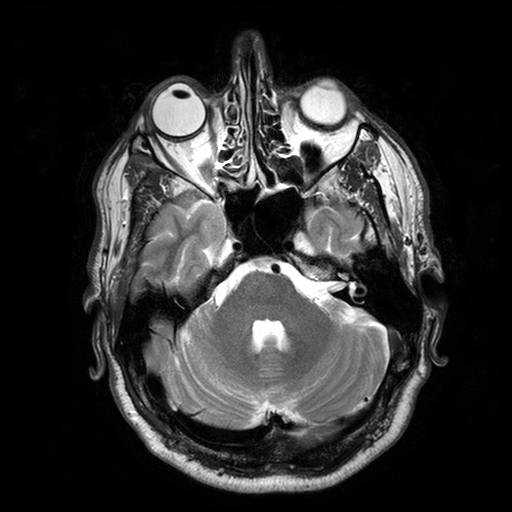
3 Tesla brain MRI.
Series: T2-weighted turbo spin echo with SENSE.
Study: ring-enhancing brain masses.